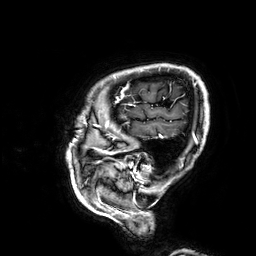
Case summary:
3 Tesla brain MRI. Series: 3D T1-weighted. Study: ring-enhancing brain masses.